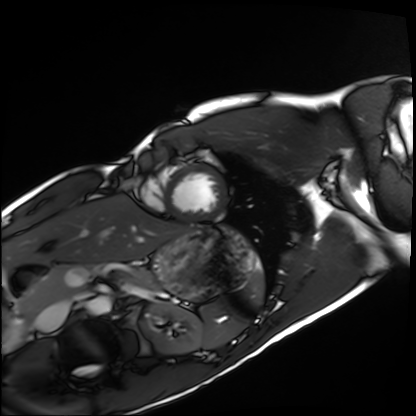
Case:
– modality · cardiac MRI
– subject group · healthy volunteer